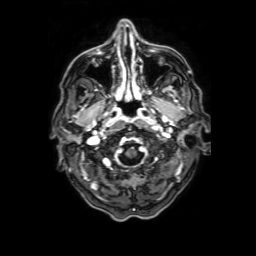
  modality:
    type: brain MRI
    field_strength: 3T
  study_topic: ring-enhancing brain masses